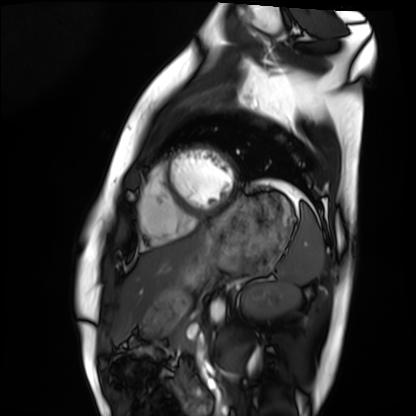
- modality — cardiac MRI
- subject group — healthy volunteer